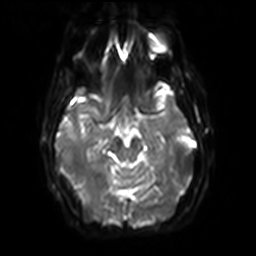
Summary: 3 Tesla brain MRI. Series: diffusion-weighted imaging with SENSE (WIP). Study: ring-enhancing brain masses.